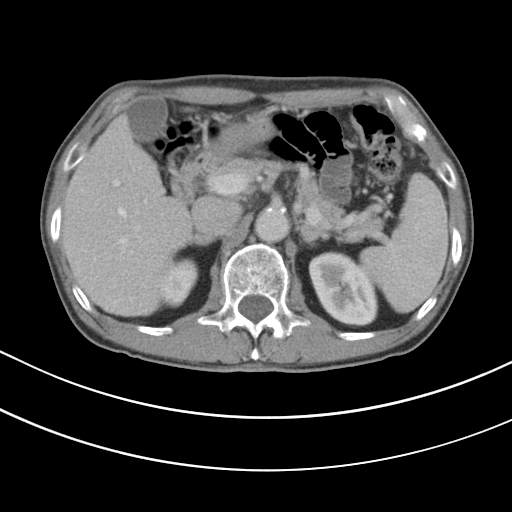
Clinical context:
Multiphase abdominal CT, liver, portal venous phase. Patient: male, age 80. History: cirrhosis, viral hepatitis.